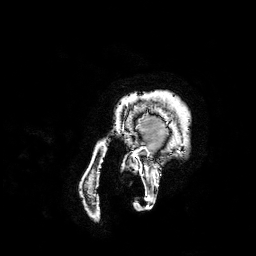
Case:
– modality — 3 Tesla brain MRI
– series — 3D T1-weighted turbo field echo with SENSE
– study — ring-enhancing brain masses